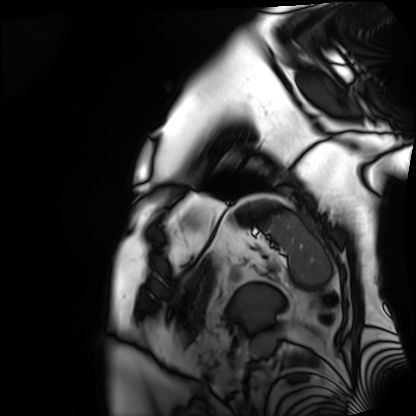
modality: cardiac MRI; subject group: patient.